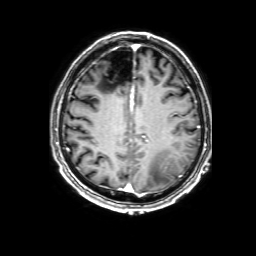
* modality — 3 Tesla brain MRI
* study — ring-enhancing brain masses